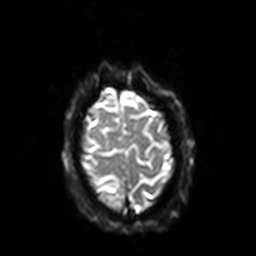
Case summary:
3 Tesla brain MRI. Series: diffusion-weighted imaging with SENSE (WIP). Study: ring-enhancing brain masses.